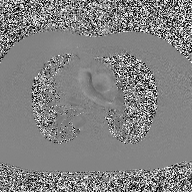
2D phase-contrast cine MRI of the ascending aorta, high-resolution GRAPPA acquisition.